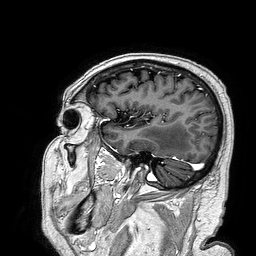
3 Tesla brain MRI. Series: 3D T1-weighted turbo field echo. Study: ring-enhancing brain masses.